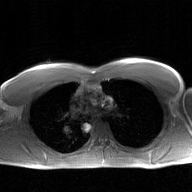
modality: 2D phase-contrast cine MRI of the ascending aorta, GAN super-resolution reconstruction.